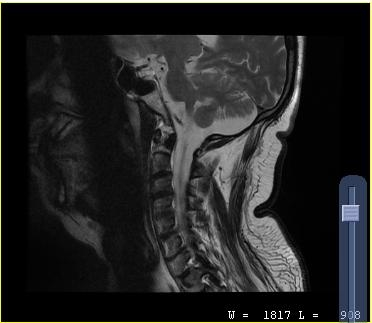
MRI of the cervical spine.
Study: cervical spondylosis.